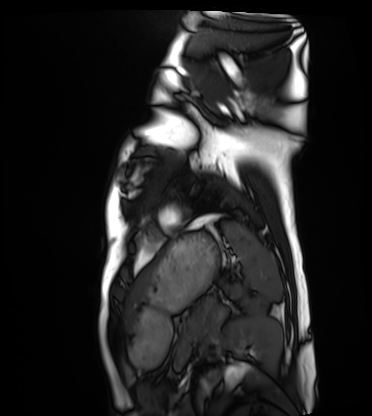
Cardiac MRI.
Subject group: healthy volunteer.